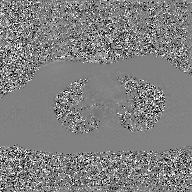
2D phase-contrast cine MRI of the ascending aorta, GAN super-resolution reconstruction.